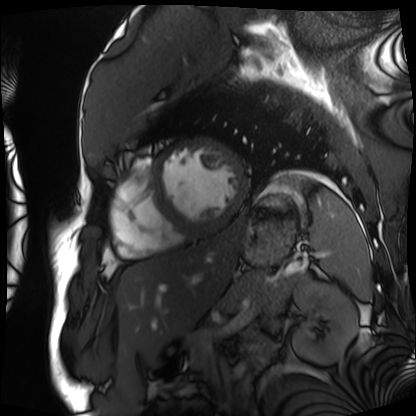
Q: What kind of scan is this?
A: Cardiac MRI.
Subject group: patient.